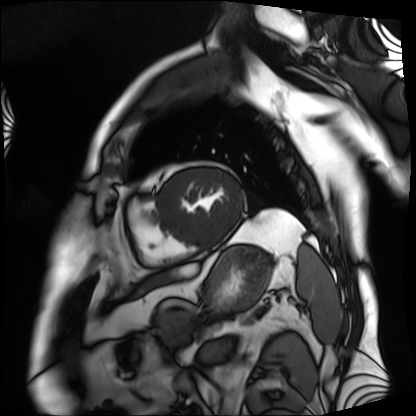
modality = cardiac MRI
subject group = patient